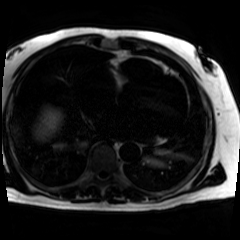
modality: chemical-shift-encoded cardiac MRI